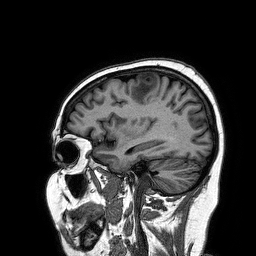
Q: What kind of scan is this?
A: 3 Tesla brain MRI.
Q: Series?
A: 3D T1-weighted turbo field echo.
Study: ring-enhancing brain masses.